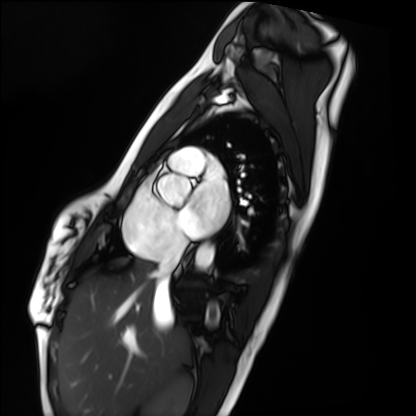
Summary: Cardiac MRI. Subject group: healthy volunteer.